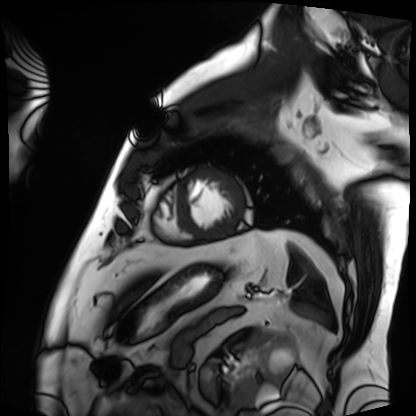
| field | value |
|---|---|
| modality | cardiac MRI |
| subject group | patient |